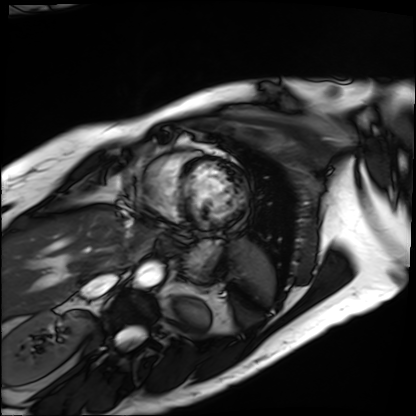
modality = cardiac MRI
subject group = patient